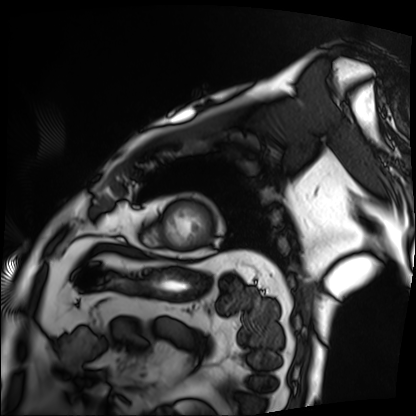
Summary: Cardiac MRI. Subject group: patient.